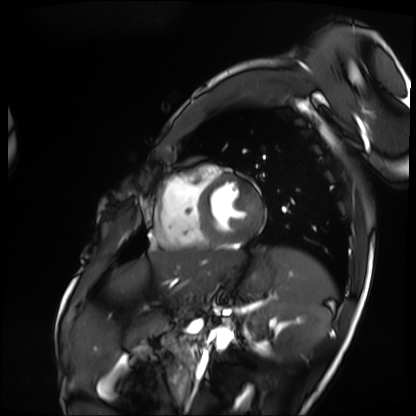
- modality — cardiac MRI
- subject group — patient